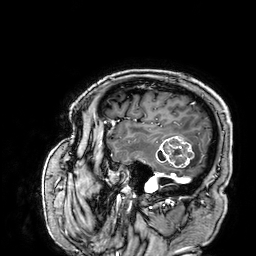
Q: What kind of scan is this?
A: 3 Tesla brain MRI.
Q: Series?
A: 3D T1-weighted.
Study: ring-enhancing brain masses.